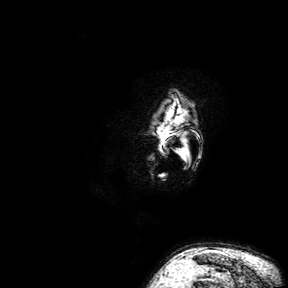
Clinical context:
3 Tesla brain MRI. Series: 3D T1-weighted turbo field echo with SENSE. Study: ring-enhancing brain masses.